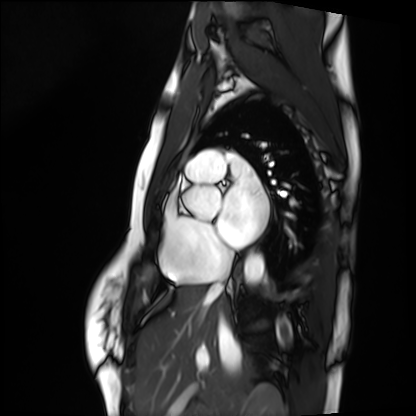
Clinical context:
Cardiac MRI. Subject group: healthy volunteer.